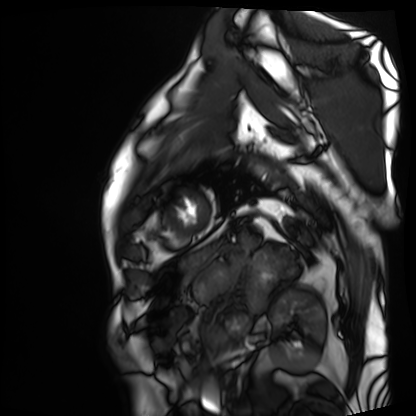
modality: cardiac MRI
cohort: patient